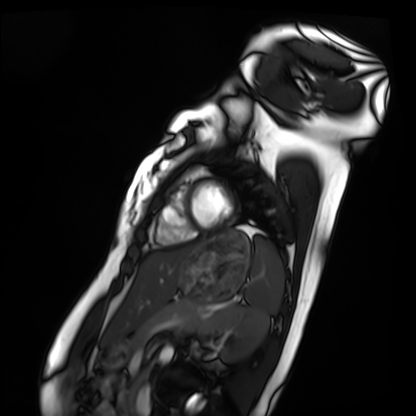
Cardiac MRI. Subject group: healthy volunteer.